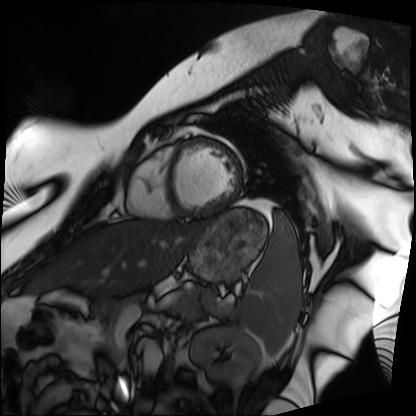
Case:
• modality · cardiac MRI
• subject group · patient